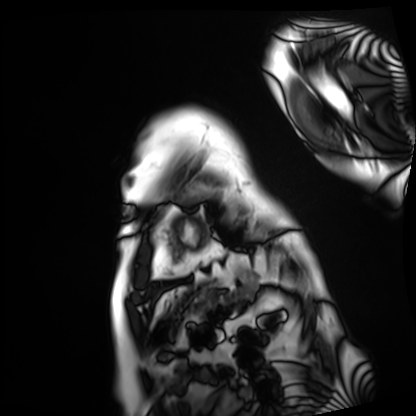
Case summary: Cardiac MRI. Subject group: patient.